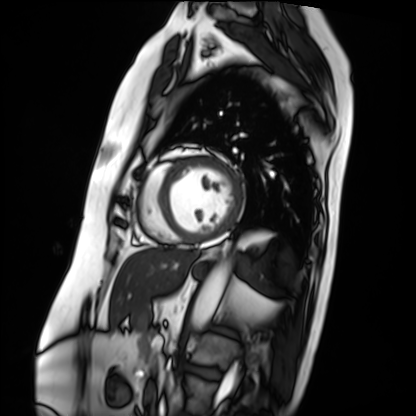
Cardiac MRI. Subject group: patient.